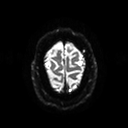
| field | value |
|---|---|
| modality | 3 Tesla brain MRI |
| series | diffusion tensor imaging (medium iso) |
| study | ring-enhancing brain masses |